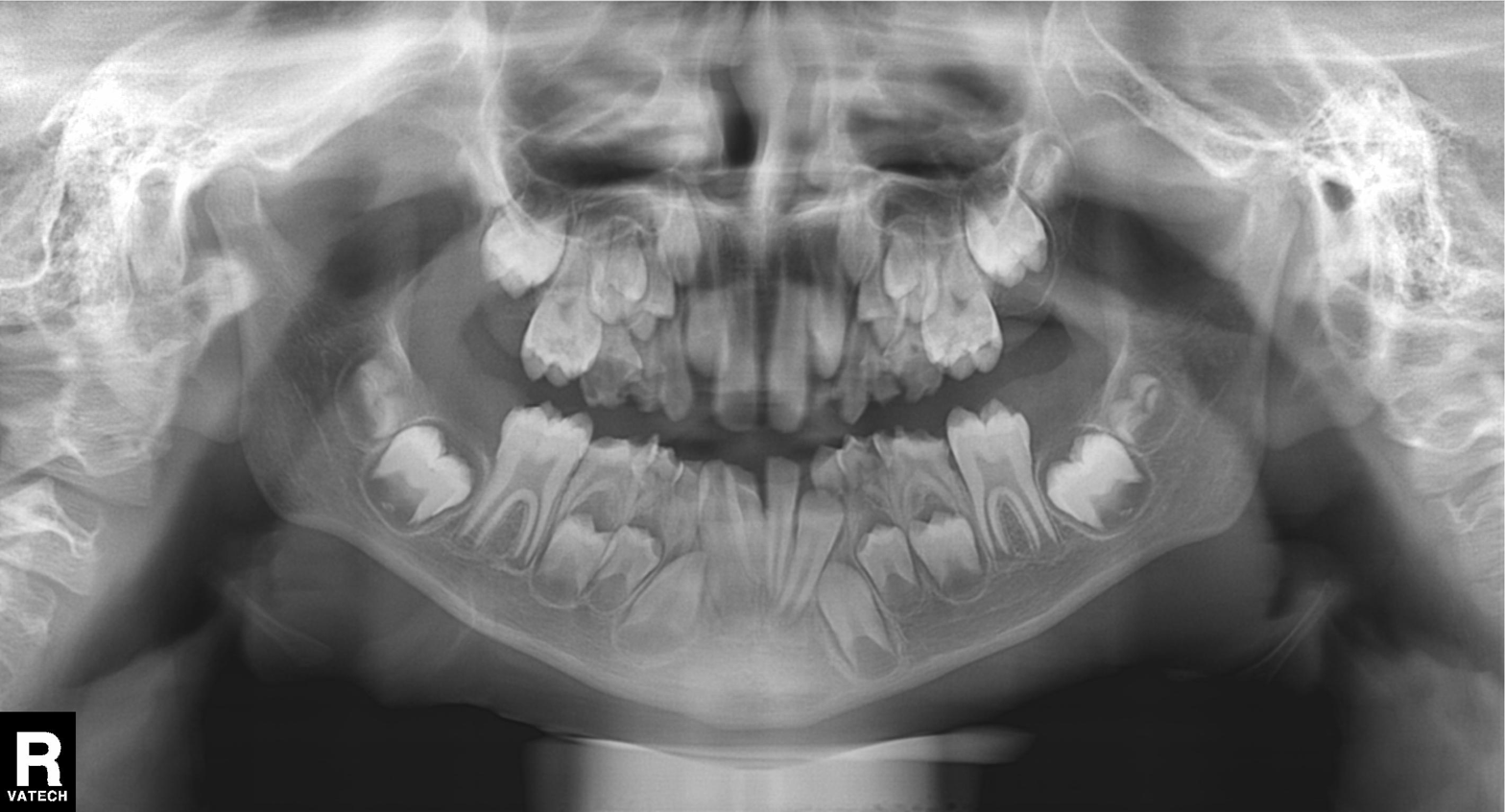
{"modality": "panoramic dental radiograph (orthopantomogram)", "finding": "alveolar bone loss"}